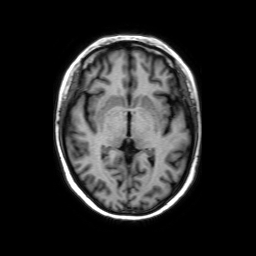
3 Tesla brain MRI. Series: axial without contrast. Study: ring-enhancing brain masses.